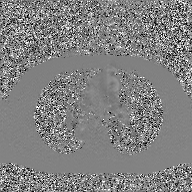
2D phase-contrast cine MRI of the ascending aorta, GAN super-resolution reconstruction.